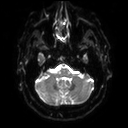
3 Tesla brain MRI.
Series: diffusion tensor imaging (medium iso).
Study: ring-enhancing brain masses.